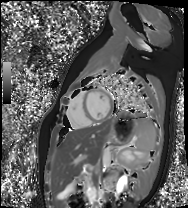
| field | value |
|---|---|
| modality | cardiac MR image of the myocardium |
| subject cohort | healthy volunteer |